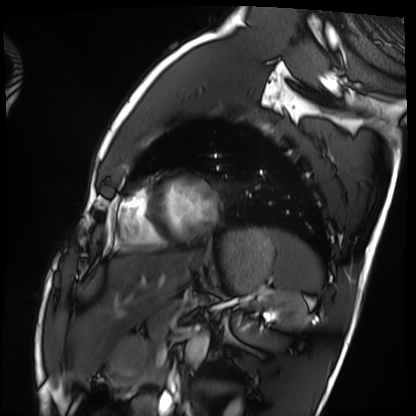
modality: cardiac MRI | subject group: healthy volunteer.